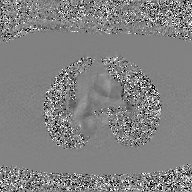
Q: What kind of scan is this?
A: 2D phase-contrast cine MRI of the ascending aorta, GAN super-resolution reconstruction.